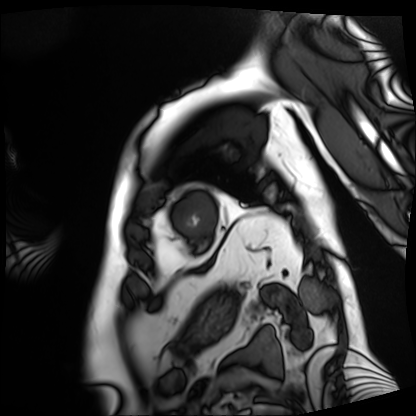
<record>
  <modality>cardiac MRI</modality>
  <cohort>patient</cohort>
</record>